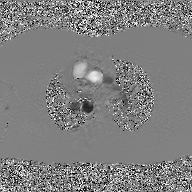
<study>
  <modality>
    <type>2D phase-contrast cine MRI</type>
    <region>ascending aorta</region>
    <reconstruction>GAN super-resolution reconstruction</reconstruction>
  </modality>
</study>